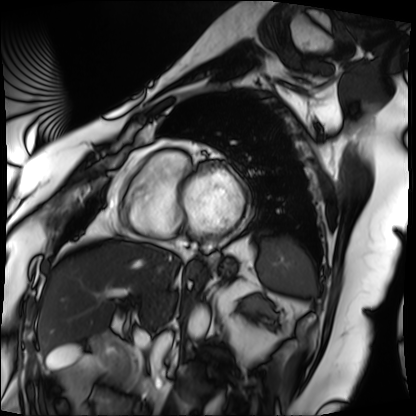
modality=cardiac MRI; subject group=patient.